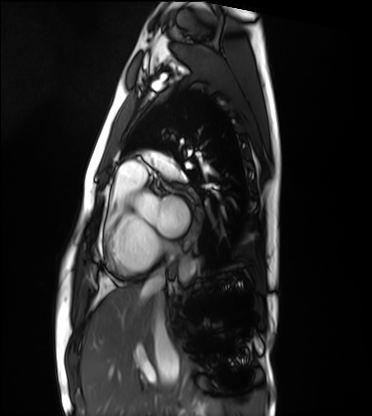
Cardiac MRI.
Subject group: healthy volunteer.